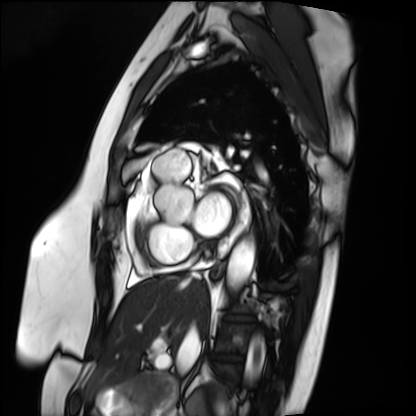
Case:
* modality — cardiac MRI
* subject group — patient